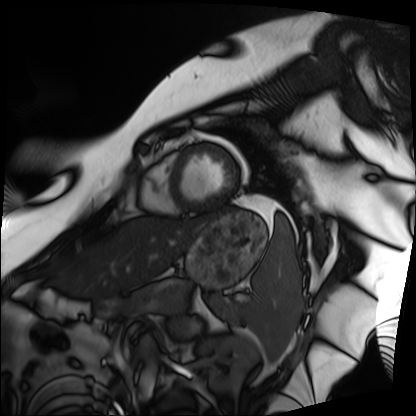
Cardiac MRI.
Subject group: patient.